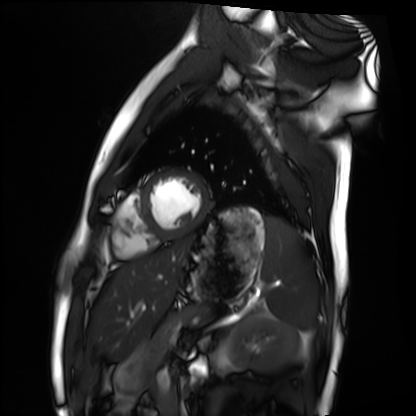
Q: What kind of scan is this?
A: Cardiac MRI.
Subject group: healthy volunteer.